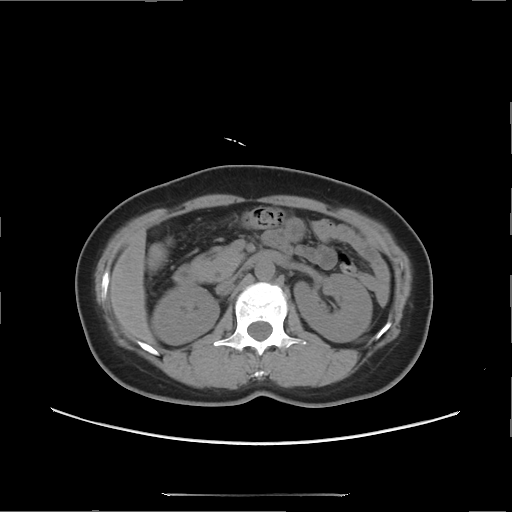
Q: What kind of scan is this?
A: Multiphase abdominal CT, liver, non-contrast phase.
Q: Patient?
A: Female, age 49.